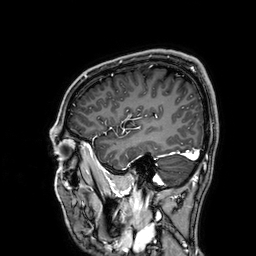
3 Tesla brain MRI. Series: 3D T1-weighted. Study: ring-enhancing brain masses.